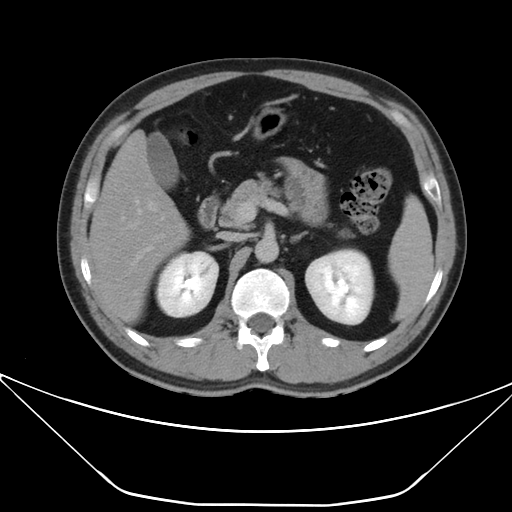
modality: multiphase abdominal CT, liver, delayed phase
patient: male, age 38